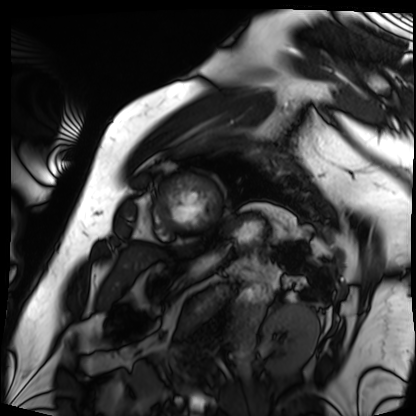
Q: What kind of scan is this?
A: Cardiac MRI.
Subject group: patient.